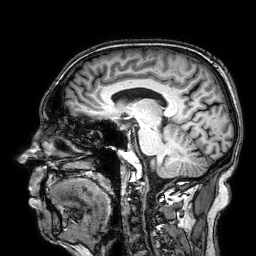
{
  "modality": {
    "type": "brain MRI",
    "field_strength": "3T"
  },
  "series": "3D T1-weighted",
  "study_topic": "ring-enhancing brain masses"
}